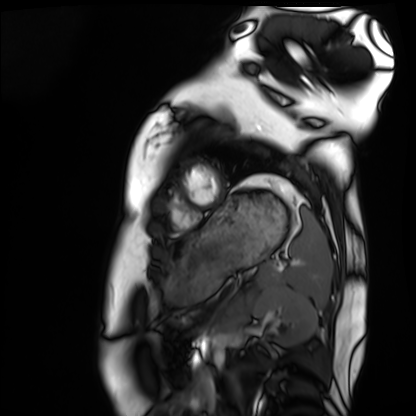
| field | value |
|---|---|
| modality | cardiac MRI |
| subject group | healthy volunteer |